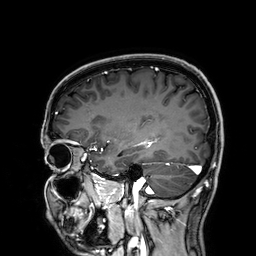
3 Tesla brain MRI.
Series: 3D T1-weighted.
Study: ring-enhancing brain masses.